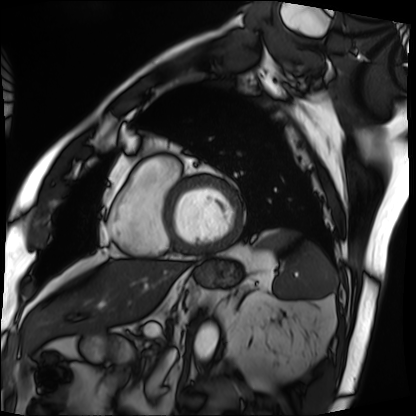
{
  "modality": "cardiac MRI",
  "cohort": "patient"
}